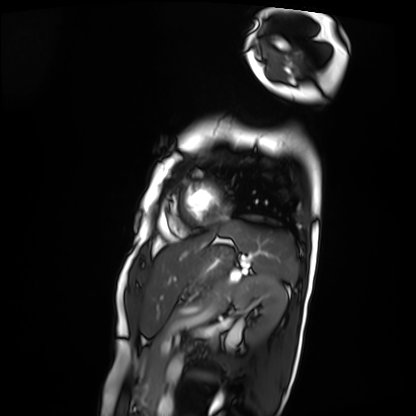
Case summary:
Cardiac MRI. Subject group: patient.